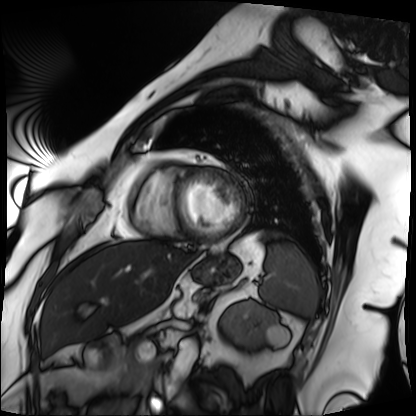
Cardiac MRI.
Subject group: patient.